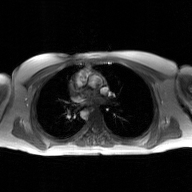
Q: What kind of scan is this?
A: 2D phase-contrast cine MRI of the ascending aorta, GAN super-resolution reconstruction.